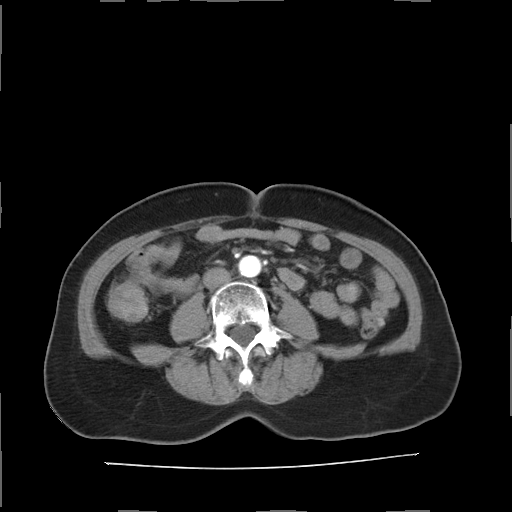
Multiphase abdominal CT, liver, arterial phase. Patient: female, age 61.